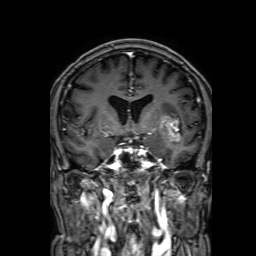
Case summary:
3 Tesla brain MRI. Series: 3D T1-weighted with SENSE. Study: ring-enhancing brain masses.